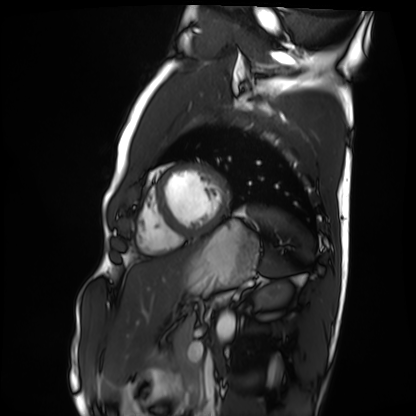
Cardiac MRI.
Subject group: healthy volunteer.